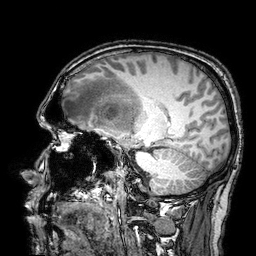
Clinical context:
3 Tesla brain MRI. Series: 3D T1-weighted turbo field echo with SENSE. Study: ring-enhancing brain masses.